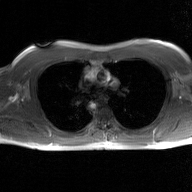
<record>
  <modality>
    <type>2D phase-contrast cine MRI</type>
    <region>ascending aorta</region>
    <reconstruction>GAN super-resolution reconstruction</reconstruction>
  </modality>
</record>